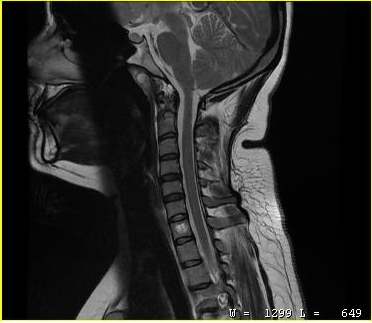
| field | value |
|---|---|
| modality | MRI of the cervical spine |
| study | cervical spondylosis |